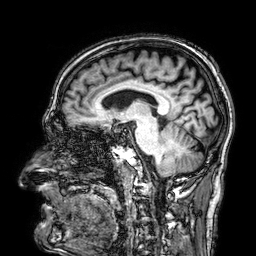
3 Tesla brain MRI.
Series: 3D T1-weighted.
Study: ring-enhancing brain masses.